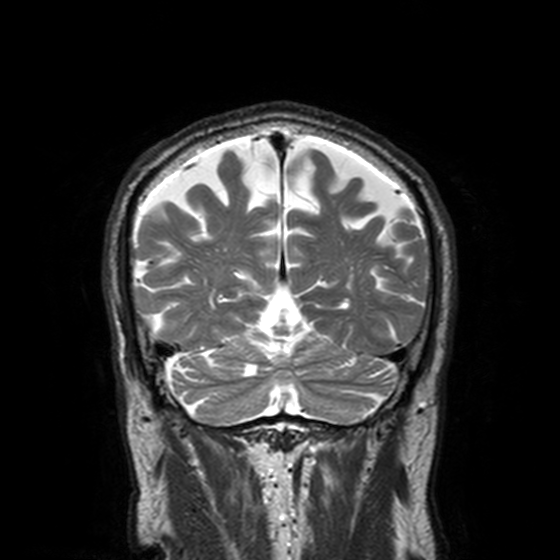
Case:
* modality · 3 Tesla brain MRI
* study · ring-enhancing brain masses